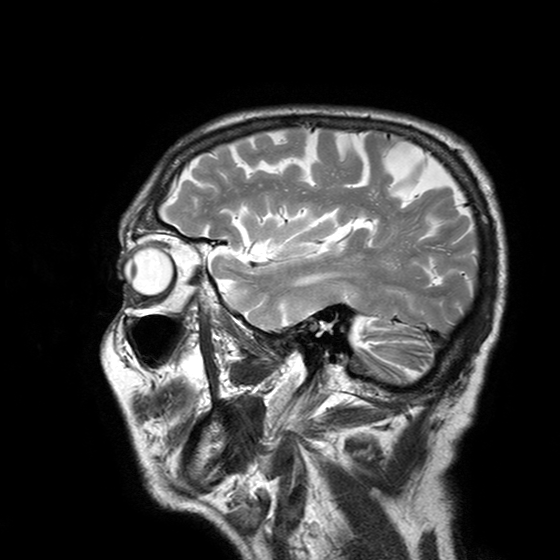
3 Tesla brain MRI. Series: T2-weighted turbo spin echo with SENSE. Study: ring-enhancing brain masses.